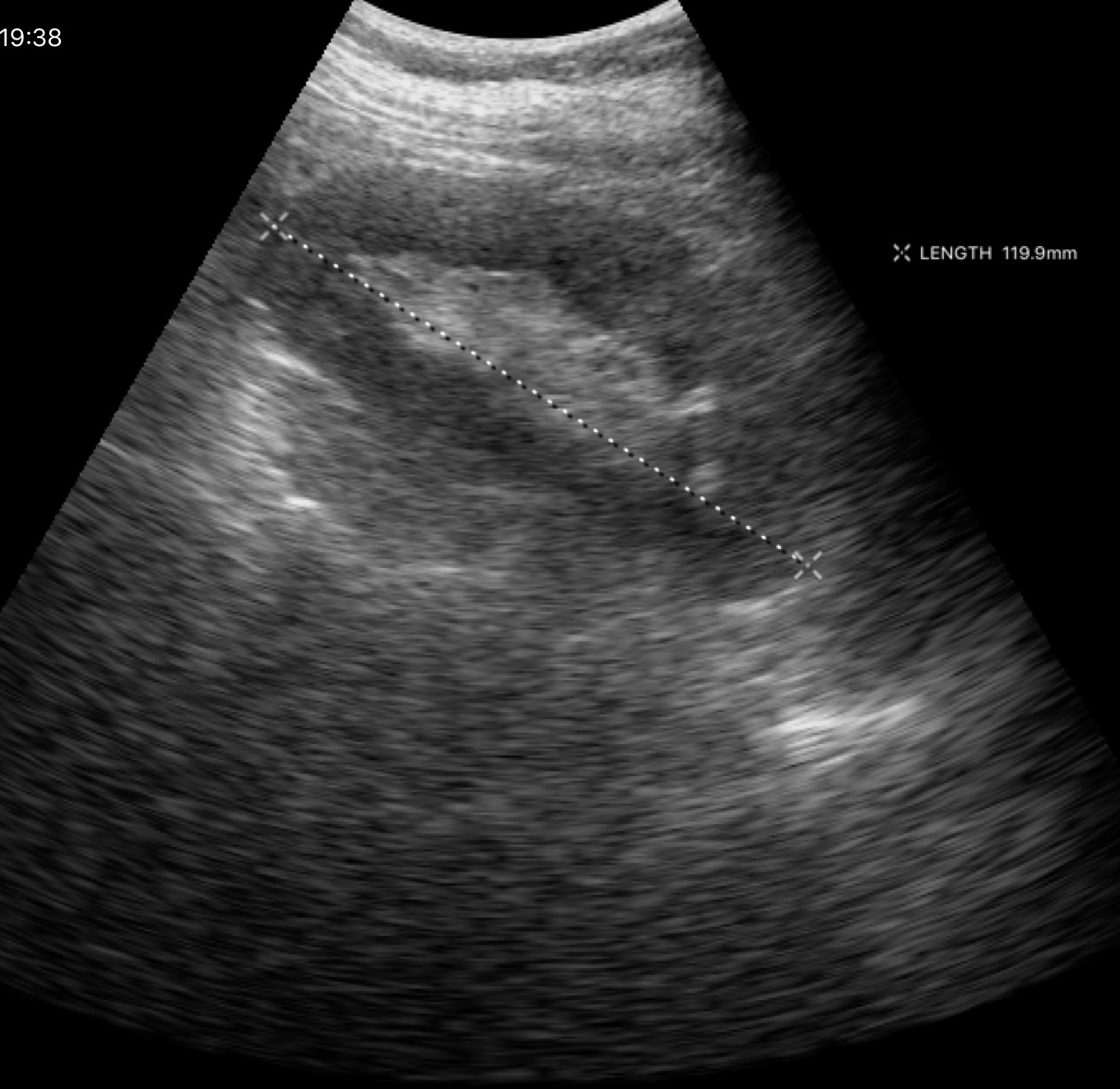
Case:
- modality · genitourinary ultrasound